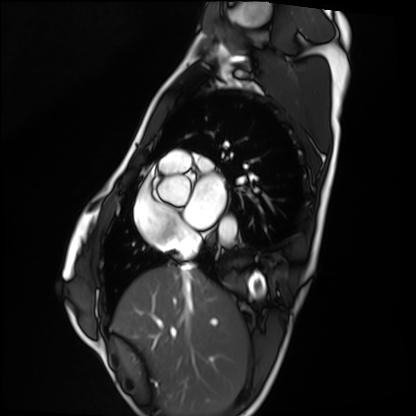
Clinical context:
Cardiac MRI. Subject group: healthy volunteer.